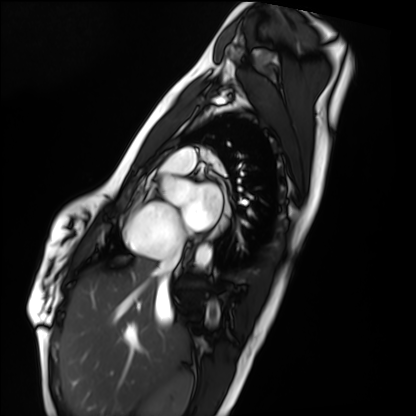
Cardiac MRI.
Subject group: healthy volunteer.